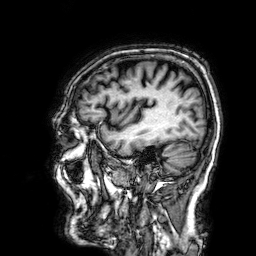
Summary: 3 Tesla brain MRI. Series: 3D T1-weighted. Study: ring-enhancing brain masses.